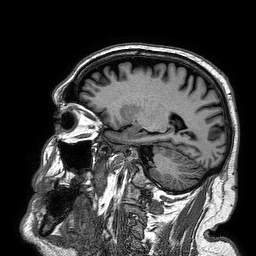
<case>
  <modality>
    <type>brain MRI</type>
    <field_strength>3T</field_strength>
  </modality>
  <series>3D T1-weighted turbo field echo</series>
  <study_topic>ring-enhancing brain masses</study_topic>
</case>